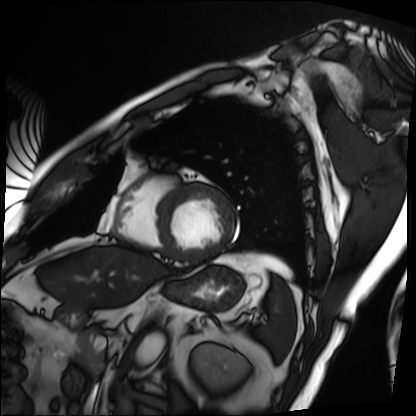
Cardiac MRI.
Subject group: patient.